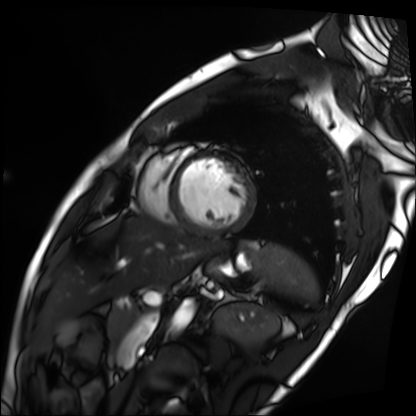
modality: cardiac MRI; subject group: patient.